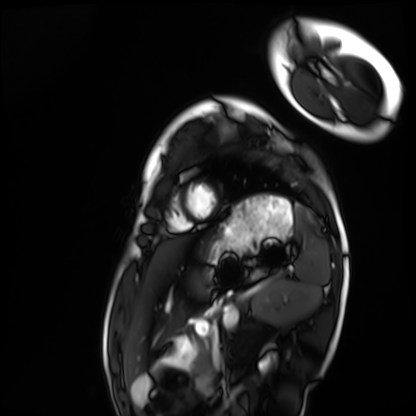
Cardiac MRI. Subject group: healthy volunteer.